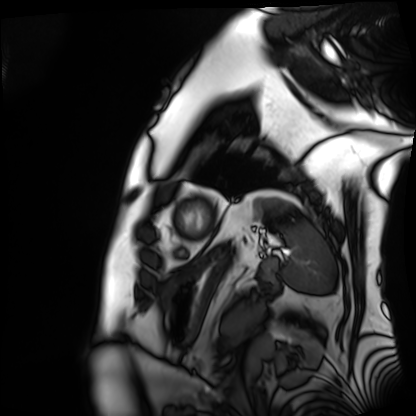
modality = cardiac MRI, subject group = patient.